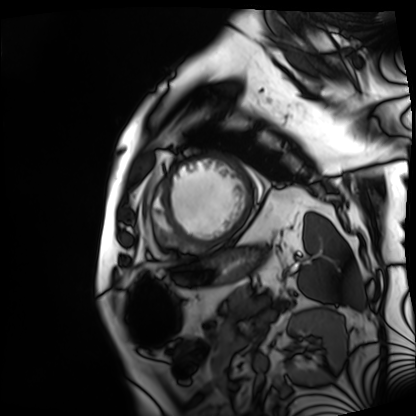
Cardiac MRI.
Subject group: patient.